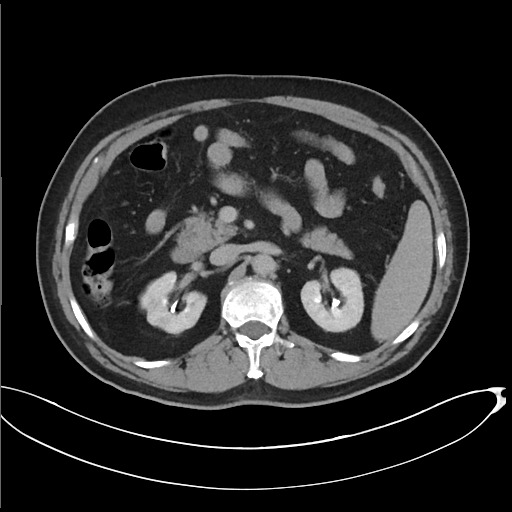
Case:
* modality — multiphase abdominal CT, liver, delayed phase
* patient — male, age 67
* history — cirrhosis, viral hepatitis